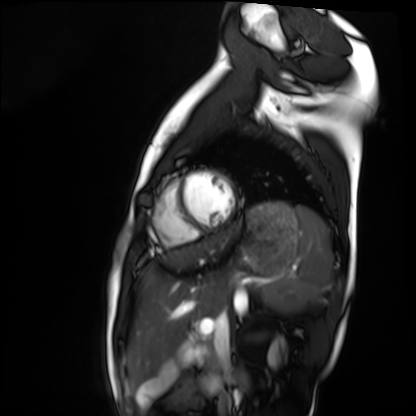
Clinical context:
Cardiac MRI. Subject group: healthy volunteer.